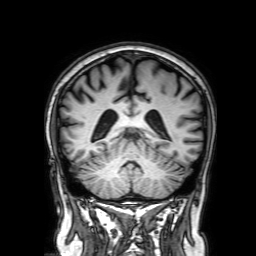
3 Tesla brain MRI.
Series: 3D T1-weighted with SENSE.
Study: ring-enhancing brain masses.